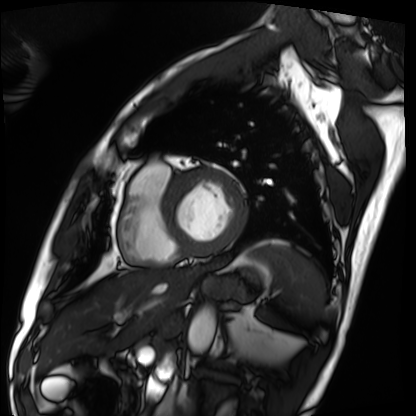
Cardiac MRI. Subject group: patient.